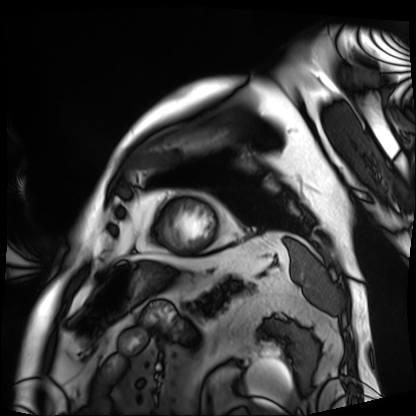
– modality · cardiac MRI
– subject group · patient